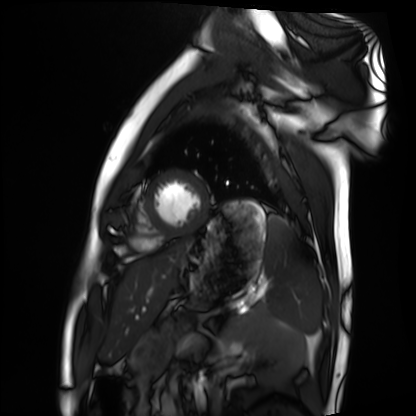
Summary:
Cardiac MRI. Subject group: healthy volunteer.